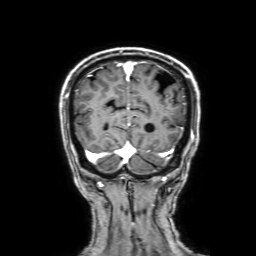
modality — 3 Tesla brain MRI | series — 3D T1-weighted with SENSE | study — ring-enhancing brain masses.